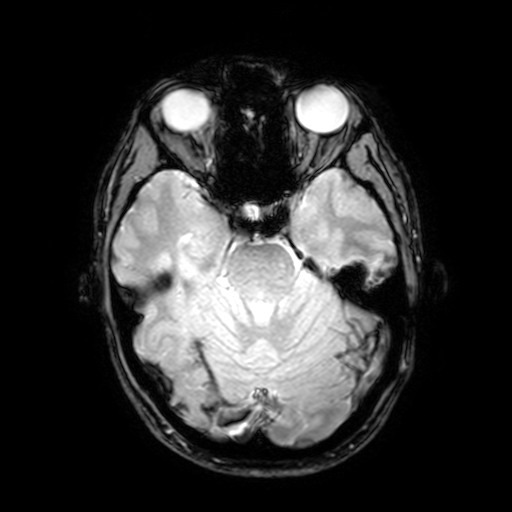
modality: 3 Tesla brain MRI; series: T2-weighted fast field echo with SENSE; study: ring-enhancing brain masses.